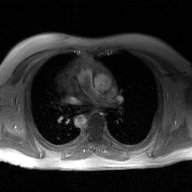
modality = 2D phase-contrast cine MRI of the ascending aorta, GAN super-resolution reconstruction.